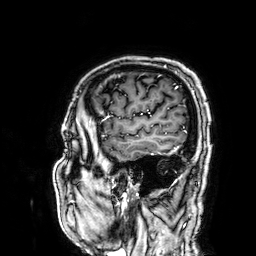
| field | value |
|---|---|
| modality | 3 Tesla brain MRI |
| series | 3D T1-weighted |
| study | ring-enhancing brain masses |